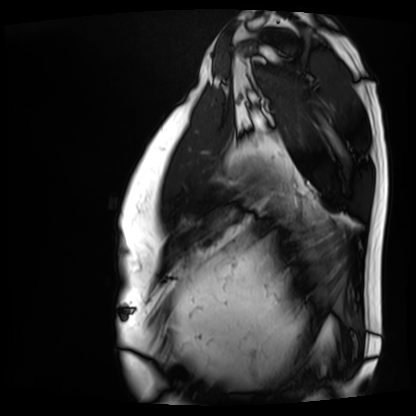
Case summary: Cardiac MRI. Subject group: patient.